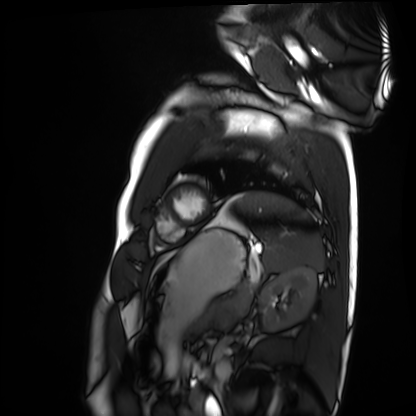
Cardiac MRI. Subject group: healthy volunteer.